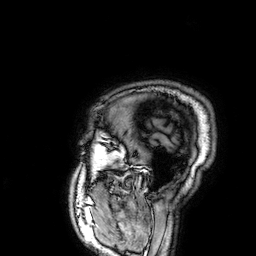
{"modality": {"type": "brain MRI", "field_strength": "3T"}, "series": "3D T1-weighted", "study_topic": "ring-enhancing brain masses"}